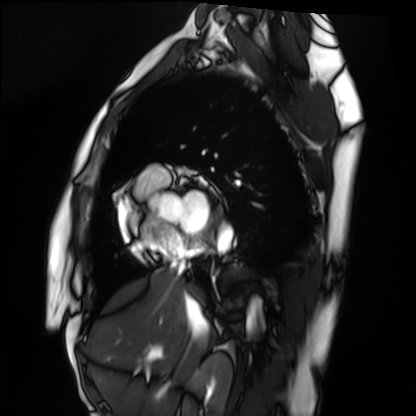
| field | value |
|---|---|
| modality | cardiac MRI |
| subject group | healthy volunteer |